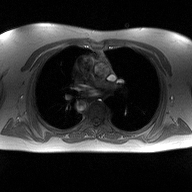
2D phase-contrast cine MRI of the ascending aorta, high-resolution GRAPPA acquisition.